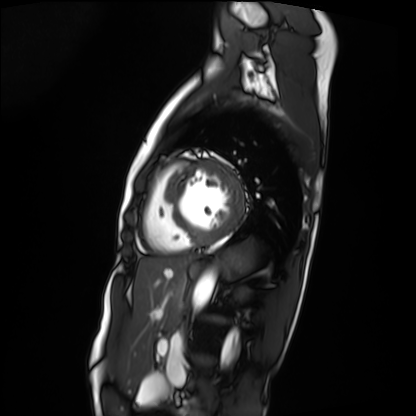
modality: cardiac MRI, subject group: patient.